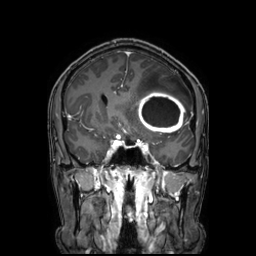
* modality · 3 Tesla brain MRI
* series · 3D T1-weighted TFE with SENSE
* study · ring-enhancing brain masses